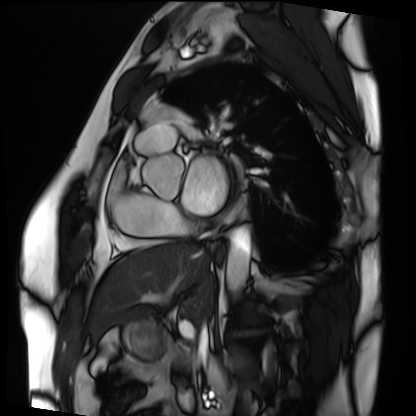
Cardiac MRI. Subject group: patient.